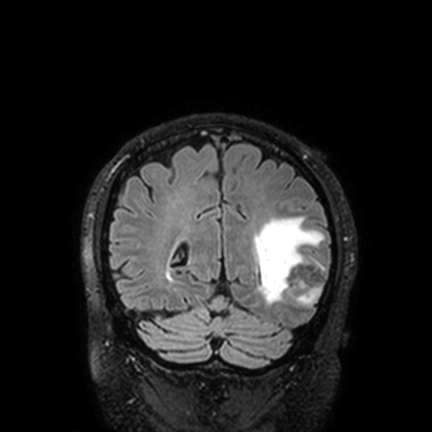
modality = 3 Tesla brain MRI
series = FLAIR VISTA with SENSE
study = ring-enhancing brain masses